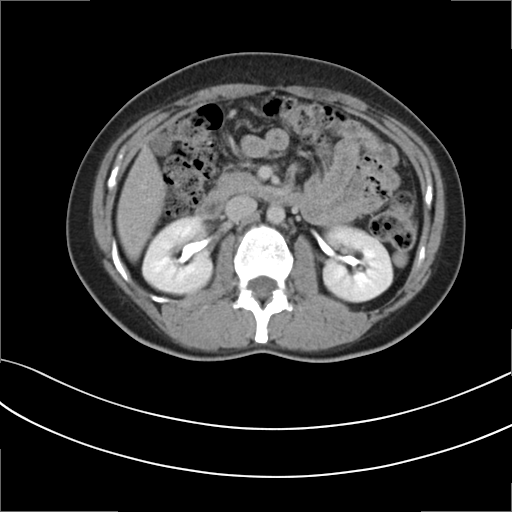
Q: What kind of scan is this?
A: Multiphase abdominal CT, liver, delayed phase.
Q: Patient?
A: Female, age 39.
Q: History?
A: Prior chemotherapy.